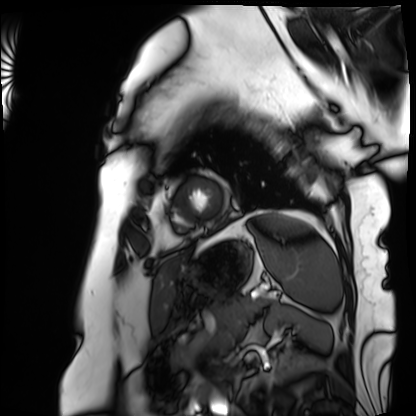
modality: cardiac MRI | subject group: patient.